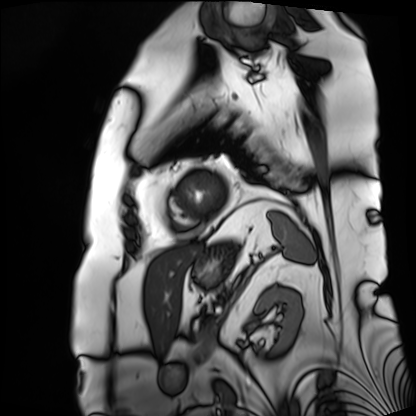
Cardiac MRI. Subject group: patient.